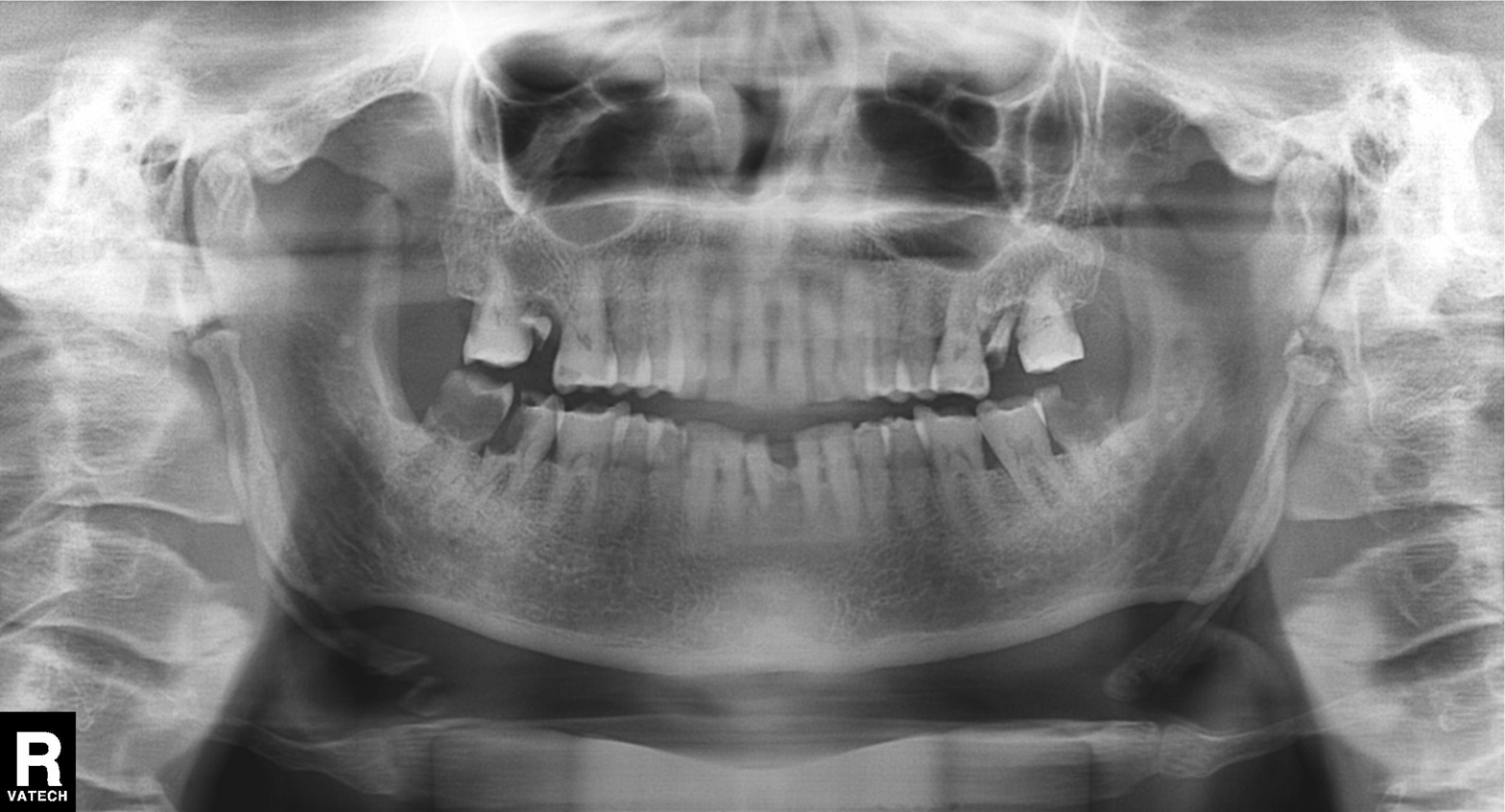
{"modality": "panoramic dental radiograph (orthopantomogram)", "finding": "tooth impaction"}